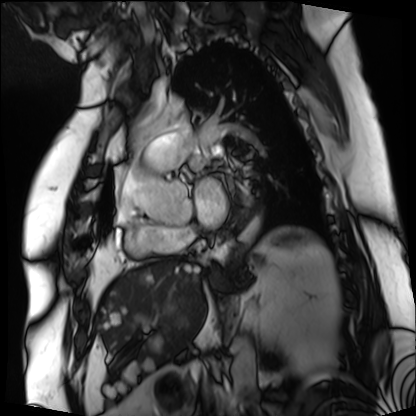
Summary: Cardiac MRI. Subject group: patient.